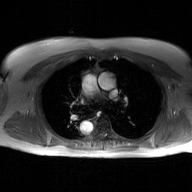
2D phase-contrast cine MRI of the ascending aorta, GAN super-resolution reconstruction.